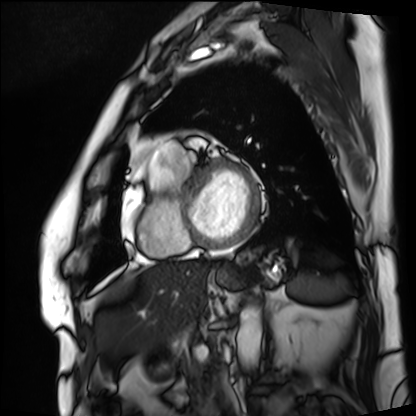
| field | value |
|---|---|
| modality | cardiac MRI |
| subject group | patient |